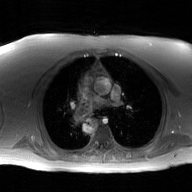
Clinical context: 2D phase-contrast cine MRI of the ascending aorta, GAN super-resolution reconstruction.